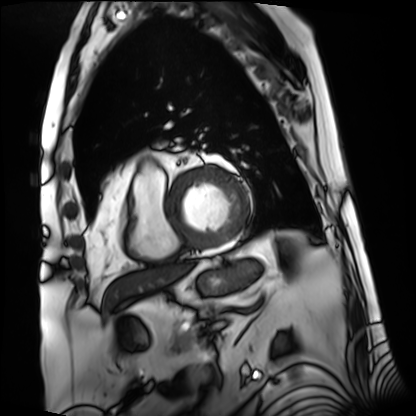
{
  "modality": "cardiac MRI",
  "cohort": "patient"
}